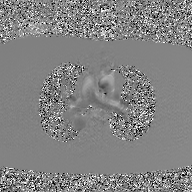
2D phase-contrast cine MRI of the ascending aorta, GAN super-resolution reconstruction.